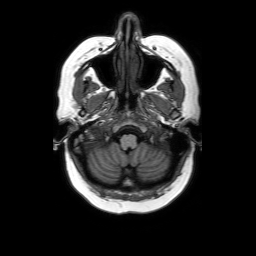
{
  "modality": {
    "type": "brain MRI",
    "field_strength": "3T"
  },
  "series": "axial without contrast",
  "study_topic": "ring-enhancing brain masses"
}